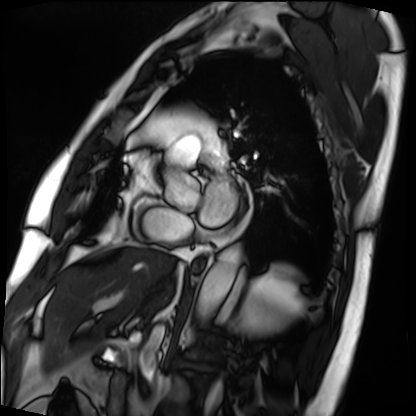
Summary: Cardiac MRI. Subject group: patient.